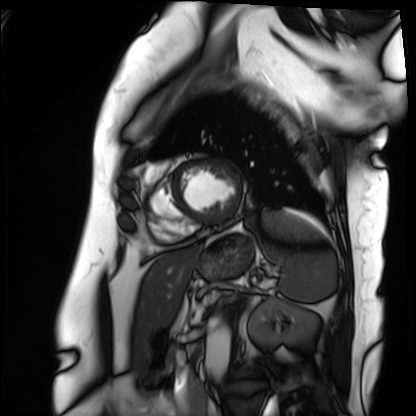
* modality: cardiac MRI
* subject group: patient